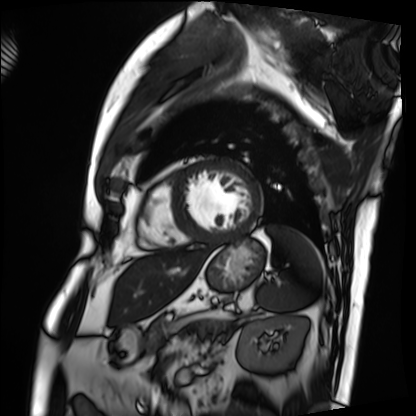
Cardiac MRI.
Subject group: patient.